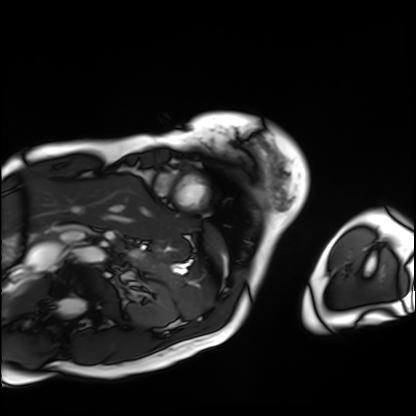
{"modality": "cardiac MRI", "cohort": "patient"}